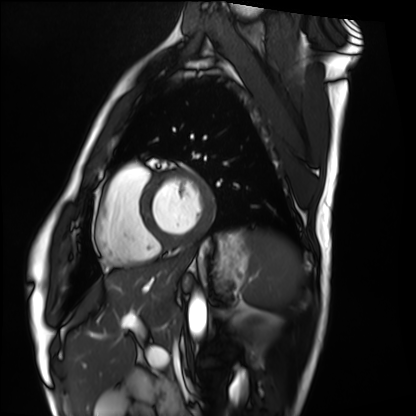
modality: cardiac MRI | subject group: healthy volunteer.